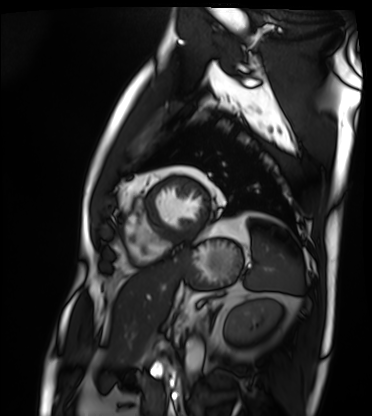
{
  "modality": "cardiac MRI",
  "cohort": "patient"
}